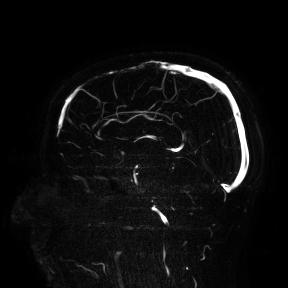
Q: What kind of scan is this?
A: 3 Tesla brain MRI.
Study: ring-enhancing brain masses.